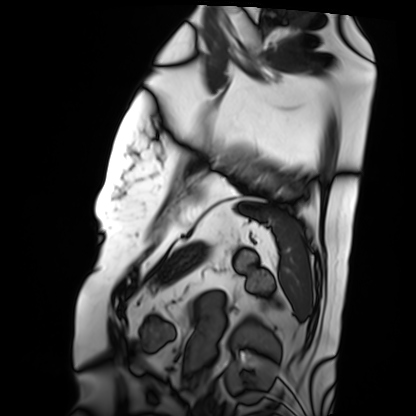
Cardiac MRI. Subject group: patient.